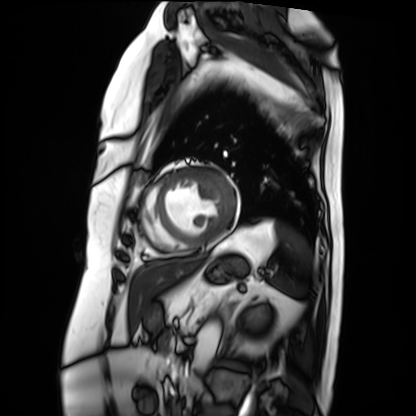
modality: cardiac MRI
cohort: patient